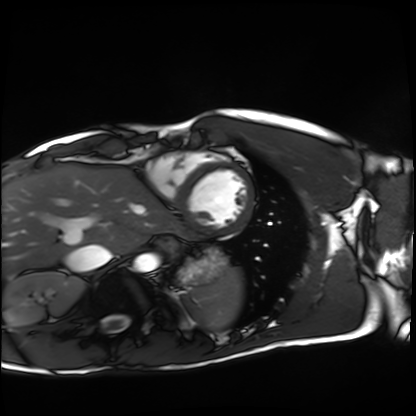
Q: What kind of scan is this?
A: Cardiac MRI.
Subject group: healthy volunteer.